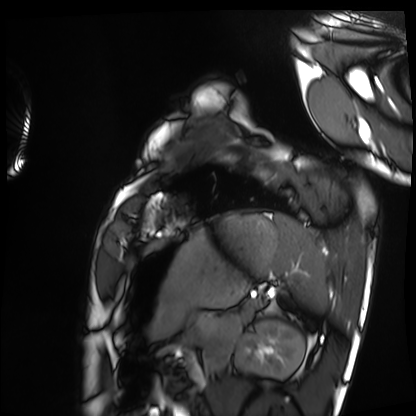
Cardiac MRI. Subject group: healthy volunteer.